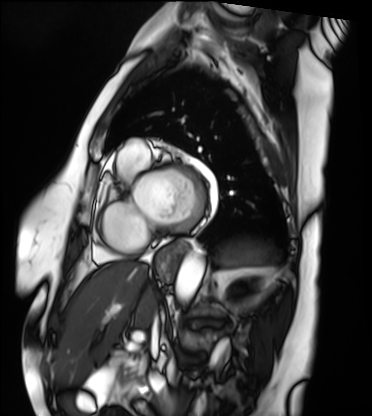
Q: What kind of scan is this?
A: Cardiac MRI.
Subject group: patient.